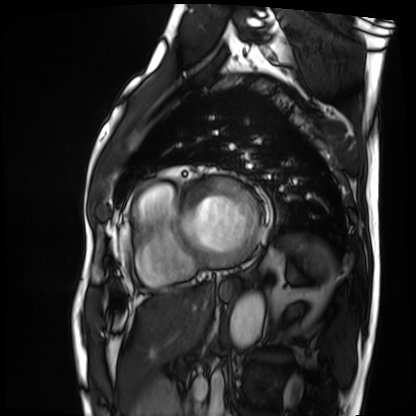
Cardiac MRI. Subject group: patient.